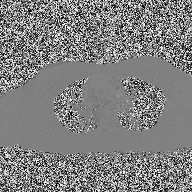
modality = 2D phase-contrast cine MRI of the ascending aorta.